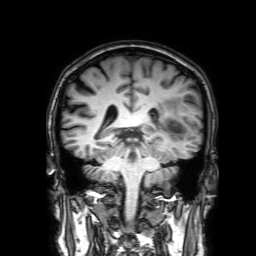
<record>
  <modality>
    <type>brain MRI</type>
    <field_strength>3T</field_strength>
  </modality>
  <series>3D T1-weighted with SENSE</series>
  <study_topic>ring-enhancing brain masses</study_topic>
</record>